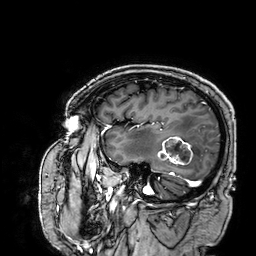
<study>
  <modality>
    <type>brain MRI</type>
    <field_strength>3T</field_strength>
  </modality>
  <series>3D T1-weighted</series>
  <study_topic>ring-enhancing brain masses</study_topic>
</study>